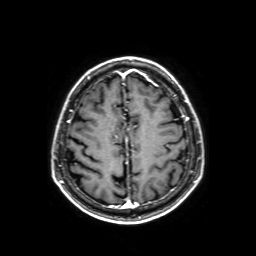
Q: What kind of scan is this?
A: 3 Tesla brain MRI.
Q: Series?
A: Axial T1-weighted fusion image.
Study: ring-enhancing brain masses.